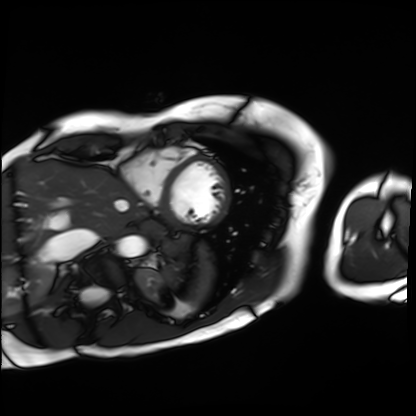
* modality — cardiac MRI
* subject group — patient